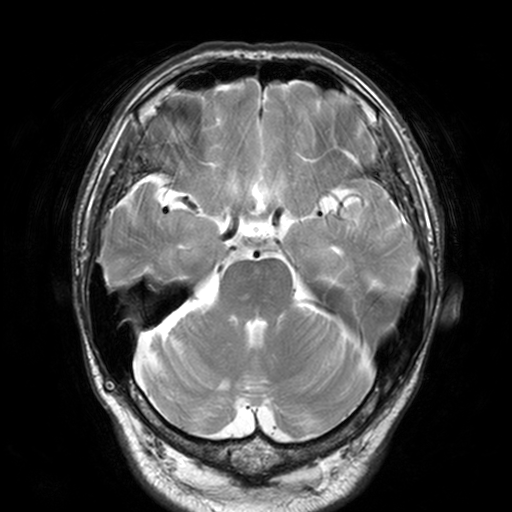
Summary:
3 Tesla brain MRI. Series: T2-weighted turbo spin echo, 3 mm. Study: ring-enhancing brain masses.